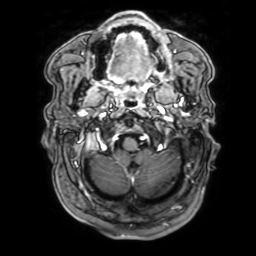
modality:
  type: brain MRI
  field_strength: 3T
series: 3D T1-weighted with SENSE
study_topic: ring-enhancing brain masses